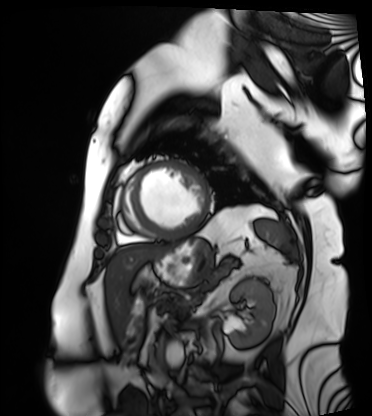
Case:
* modality — cardiac MRI
* subject group — patient